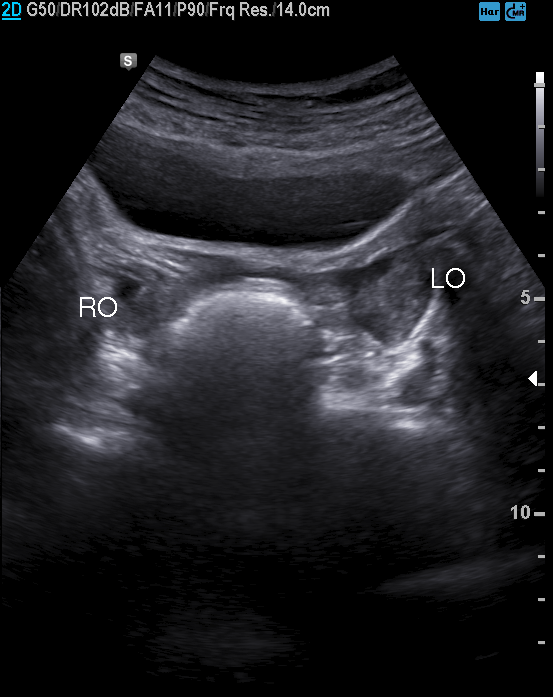
| field | value |
|---|---|
| modality | genitourinary ultrasound |